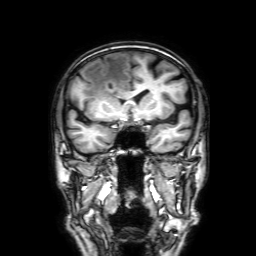
modality=3 Tesla brain MRI; series=3D T1-weighted with SENSE; study=ring-enhancing brain masses.